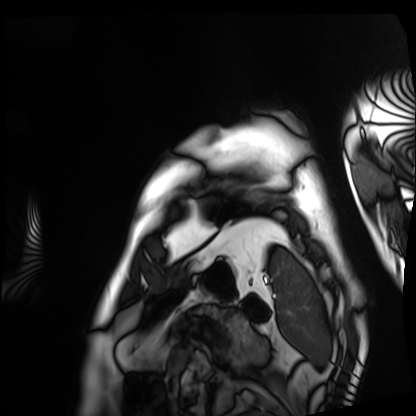
{"modality": "cardiac MRI", "cohort": "patient"}